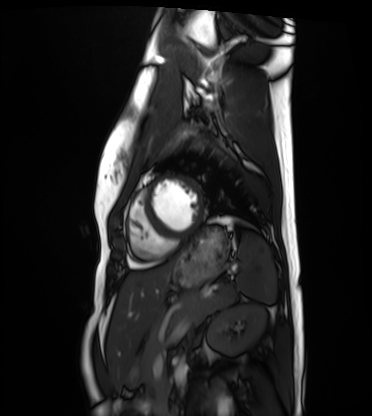
Cardiac MRI. Subject group: healthy volunteer.